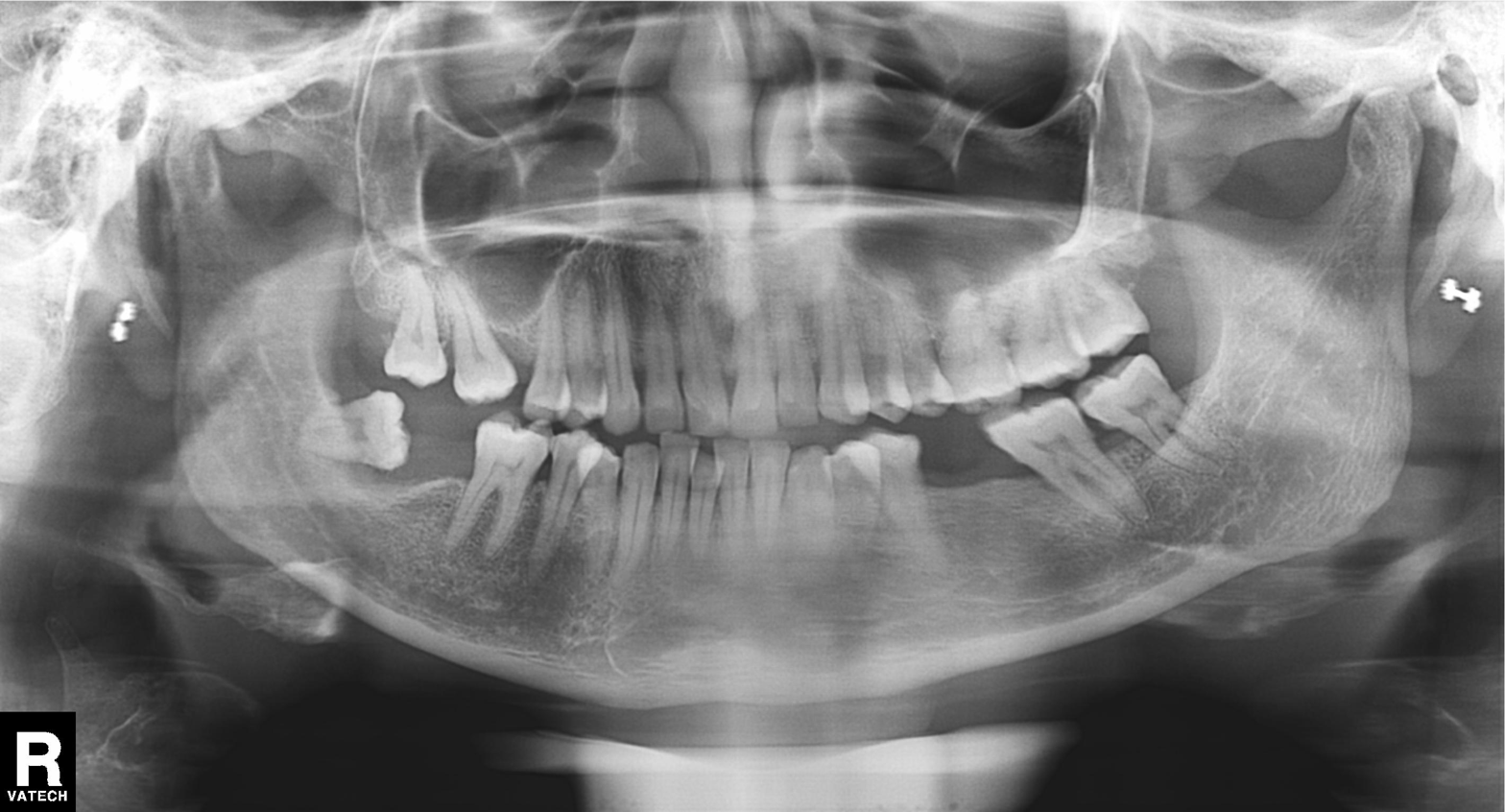
• modality — panoramic dental radiograph (orthopantomogram)
• finding — tooth impaction